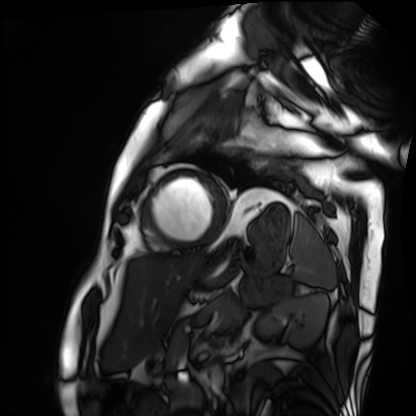
Cardiac MRI.
Subject group: patient.